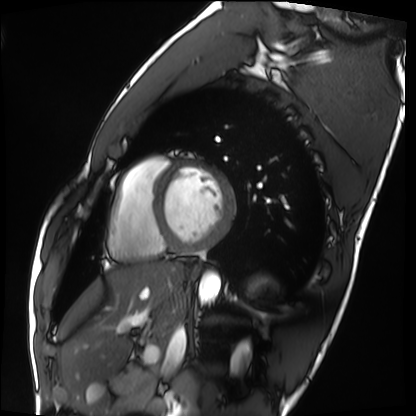
Q: What kind of scan is this?
A: Cardiac MRI.
Subject group: healthy volunteer.